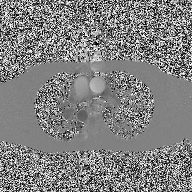
Q: What kind of scan is this?
A: 2D phase-contrast cine MRI of the ascending aorta.